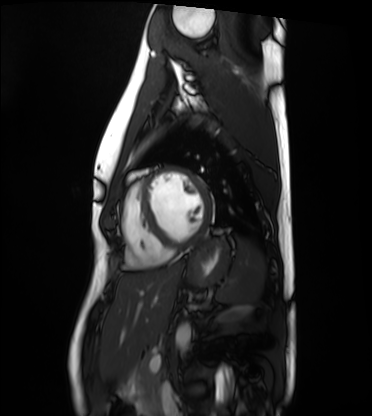
Cardiac MRI. Subject group: healthy volunteer.